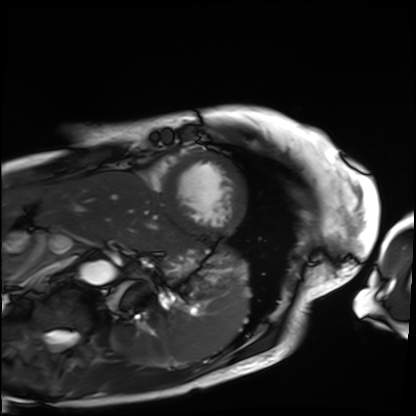
{
  "modality": "cardiac MRI",
  "cohort": "patient"
}